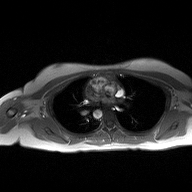
modality = 2D phase-contrast cine MRI of the ascending aorta